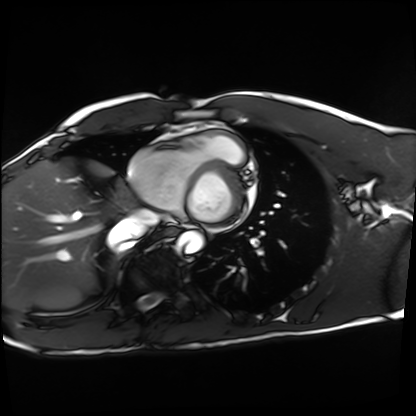
– modality — cardiac MRI
– subject group — healthy volunteer